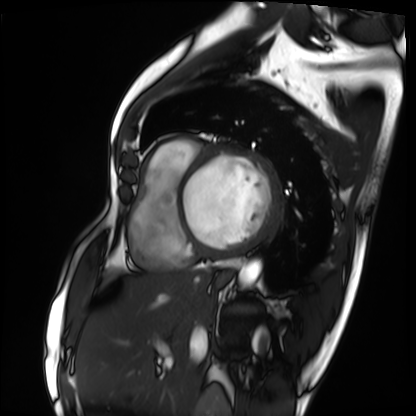
Cardiac MRI. Subject group: patient.